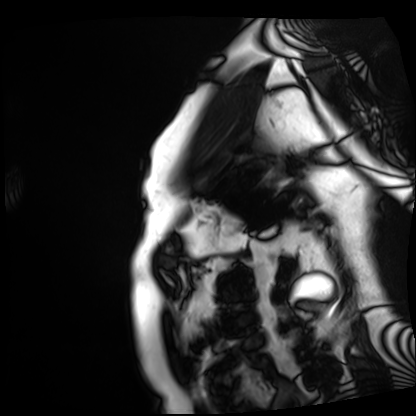
Q: What kind of scan is this?
A: Cardiac MRI.
Subject group: patient.